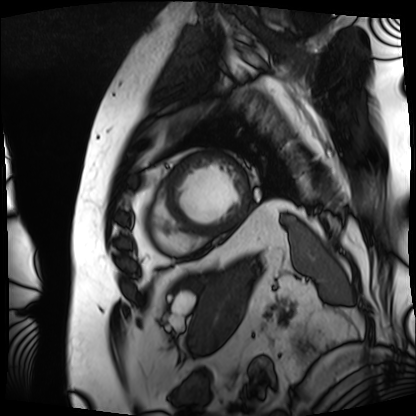
{"modality": "cardiac MRI", "cohort": "patient"}